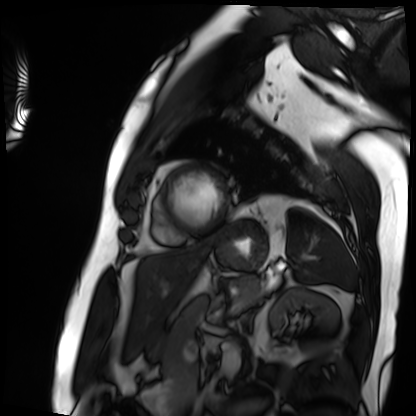
| field | value |
|---|---|
| modality | cardiac MRI |
| subject group | patient |